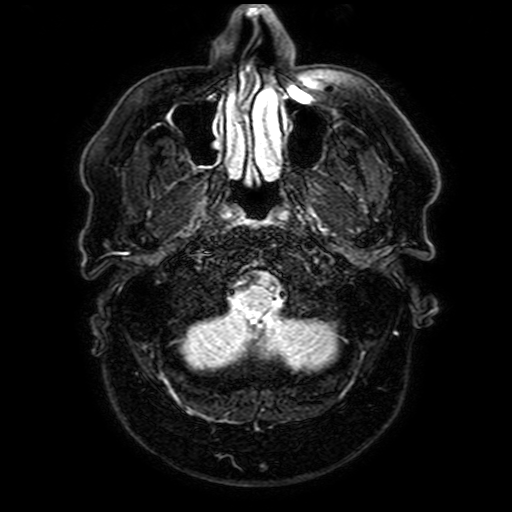
| field | value |
|---|---|
| modality | 3 Tesla brain MRI |
| series | FLAIR with SPAIR, 3 mm |
| study | ring-enhancing brain masses |